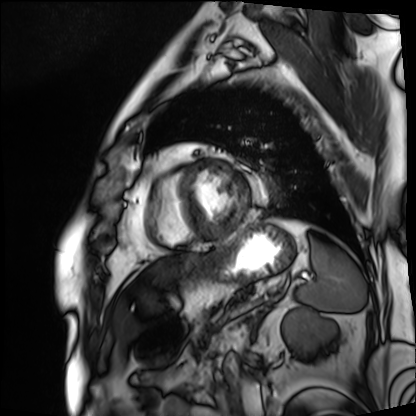
Clinical context:
Cardiac MRI. Subject group: patient.